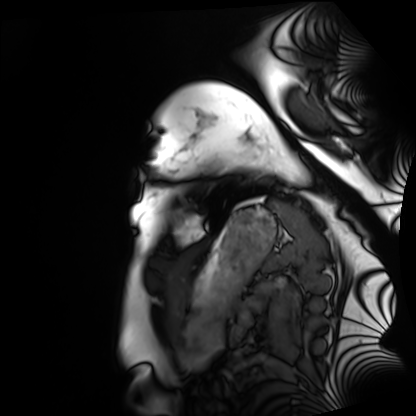
Cardiac MRI. Subject group: healthy volunteer.